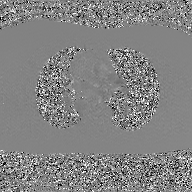
modality — 2D phase-contrast cine MRI of the ascending aorta, GAN super-resolution reconstruction.